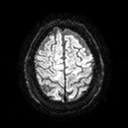
Clinical context:
3 Tesla brain MRI. Series: diffusion tensor imaging (medium iso). Study: ring-enhancing brain masses.